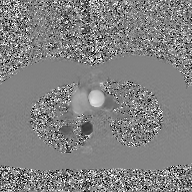
modality = 2D phase-contrast cine MRI of the ascending aorta, GAN super-resolution reconstruction.